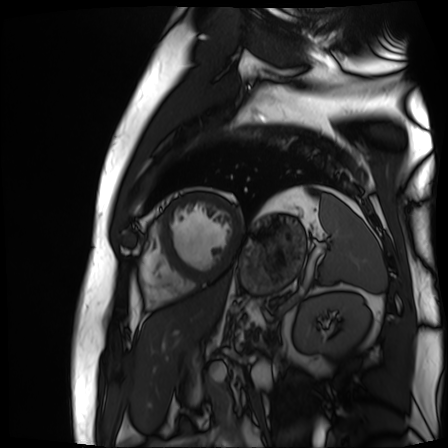
* modality · cardiac MR image of the myocardium
* subject cohort · cardiac patient